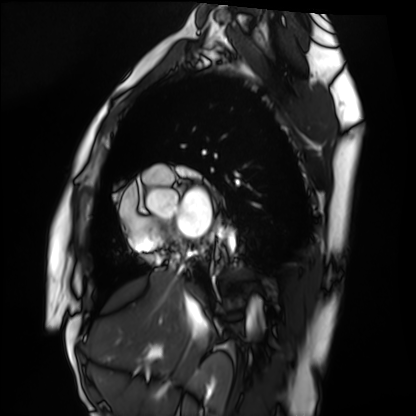
Cardiac MRI. Subject group: healthy volunteer.